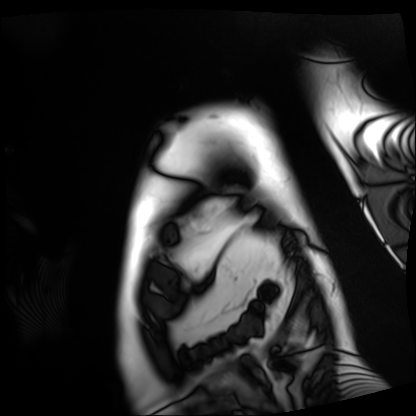
modality: cardiac MRI | subject group: patient.